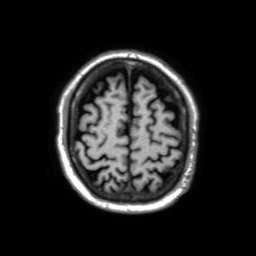
Q: What kind of scan is this?
A: 3 Tesla brain MRI.
Q: Series?
A: 3D T1-weighted TFE with SENSE.
Study: ring-enhancing brain masses.